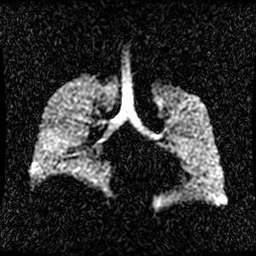
Hyperpolarized 129Xe ventilation MRI of the lungs. SNR level 1 of 8 (the deposit holds this scan as its native image and as seven SNR-degraded versions).